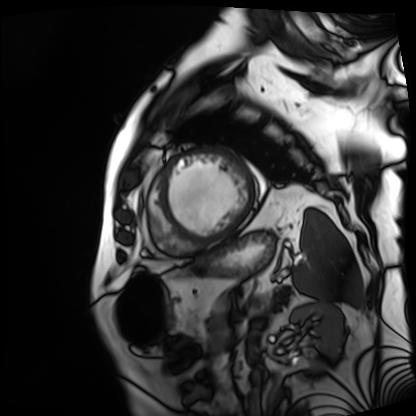
modality = cardiac MRI, subject group = patient.